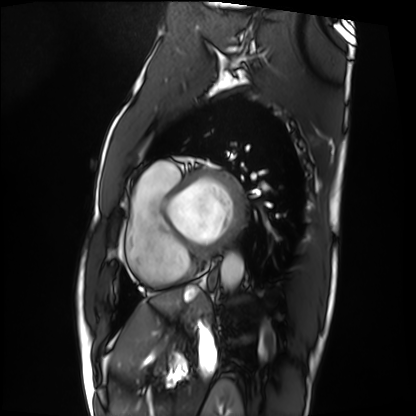
Cardiac MRI. Subject group: patient.